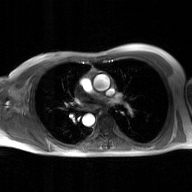
2D phase-contrast cine MRI of the ascending aorta, GAN super-resolution reconstruction.